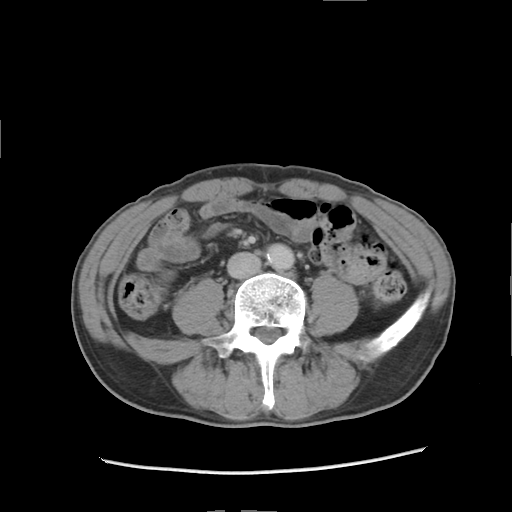
Q: What kind of scan is this?
A: Multiphase abdominal CT, liver, delayed phase.
Q: Patient?
A: Male, age 57.